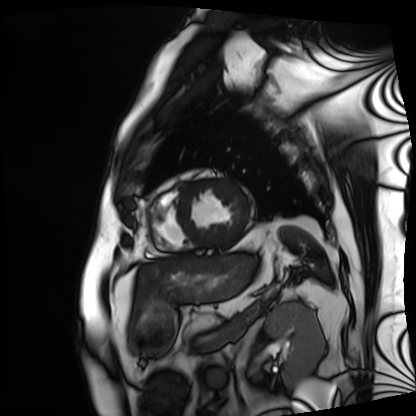
Cardiac MRI. Subject group: patient.